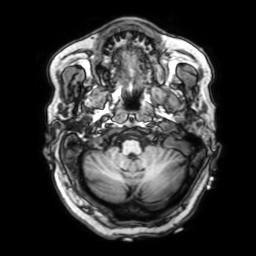
Clinical context: 3 Tesla brain MRI. Series: 3D T1-weighted with SENSE. Study: ring-enhancing brain masses.